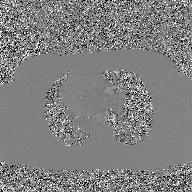
modality = 2D phase-contrast cine MRI of the ascending aorta, GAN super-resolution reconstruction.